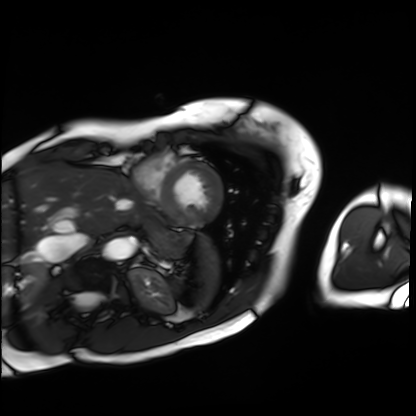
* modality · cardiac MRI
* subject group · patient